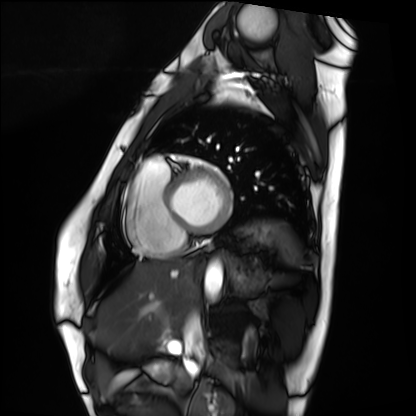
• modality — cardiac MRI
• subject group — healthy volunteer